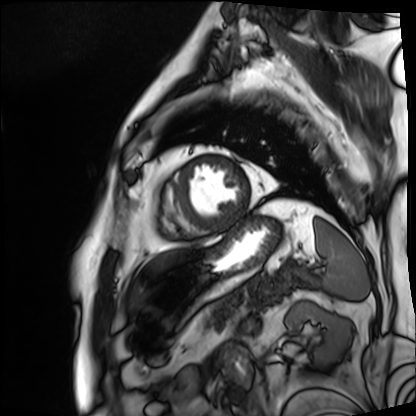
Cardiac MRI. Subject group: patient.